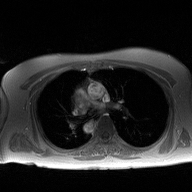
* modality · 2D phase-contrast cine MRI of the ascending aorta